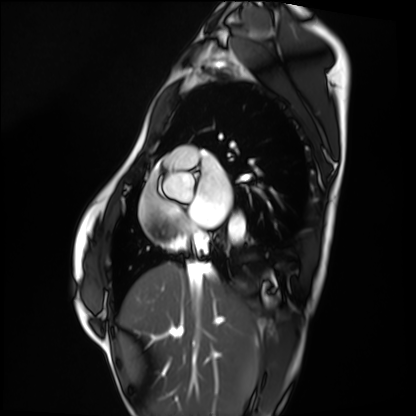
{"modality": "cardiac MRI", "cohort": "healthy volunteer"}